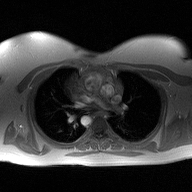
2D phase-contrast cine MRI of the ascending aorta, high-resolution GRAPPA acquisition.